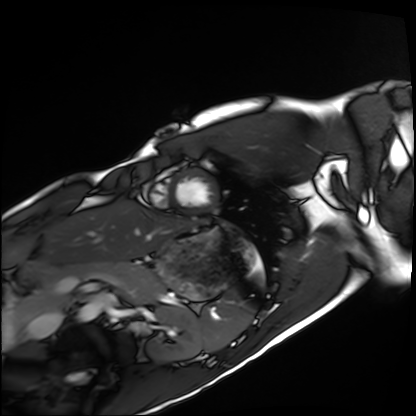
Cardiac MRI.
Subject group: healthy volunteer.